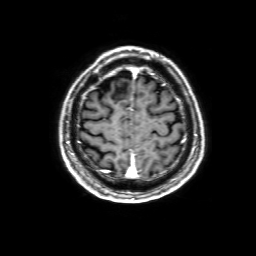
<record>
<modality>
  <type>brain MRI</type>
  <field_strength>3T</field_strength>
</modality>
<series>3D T1-weighted with SENSE</series>
<study_topic>ring-enhancing brain masses</study_topic>
</record>